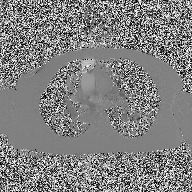
* modality — 2D phase-contrast cine MRI of the ascending aorta